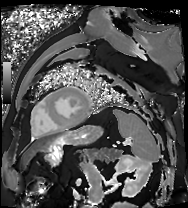
modality — cardiac MR image of the myocardium; subject cohort — cardiac patient.